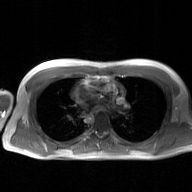
2D phase-contrast cine MRI of the ascending aorta, GAN super-resolution reconstruction.